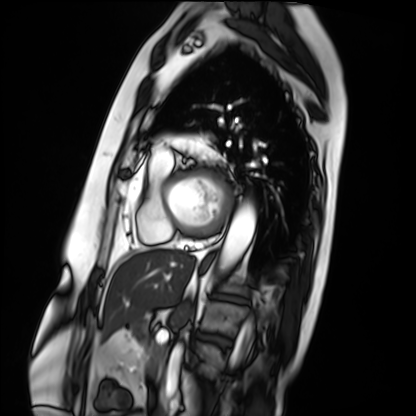
Case:
• modality · cardiac MRI
• subject group · patient